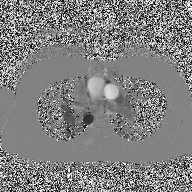
Case:
- modality — 2D phase-contrast cine MRI of the ascending aorta